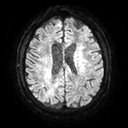
modality: 3 Tesla brain MRI
study: ring-enhancing brain masses